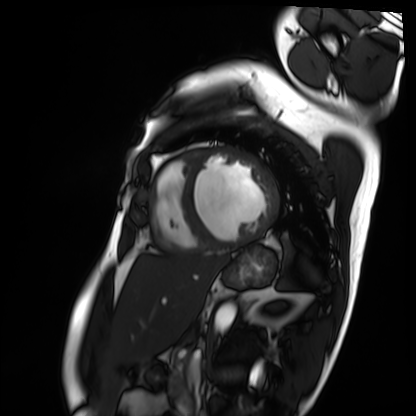
Cardiac MRI. Subject group: patient.